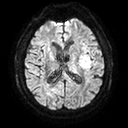
3 Tesla brain MRI. Series: diffusion tensor imaging (medium iso). Study: ring-enhancing brain masses.